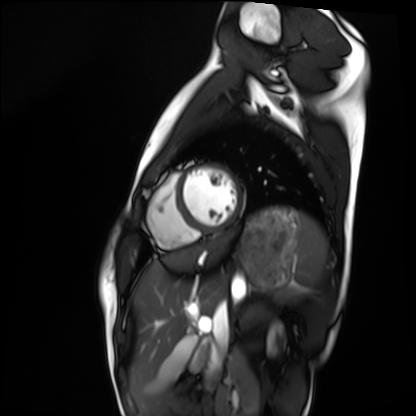
• modality · cardiac MRI
• subject group · healthy volunteer